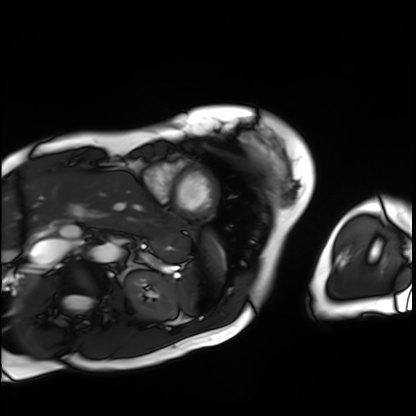
Cardiac MRI. Subject group: patient.